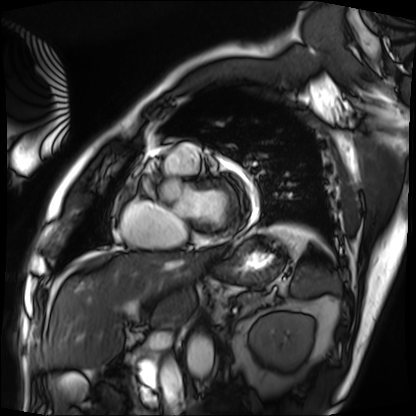
Case:
– modality — cardiac MRI
– subject group — patient